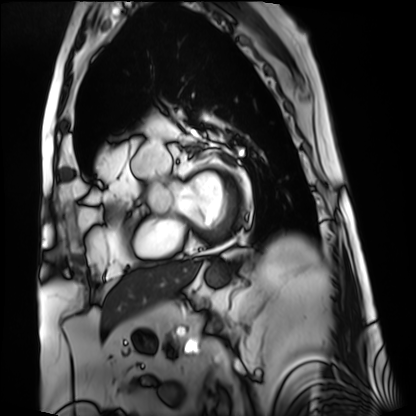
modality = cardiac MRI | subject group = patient.